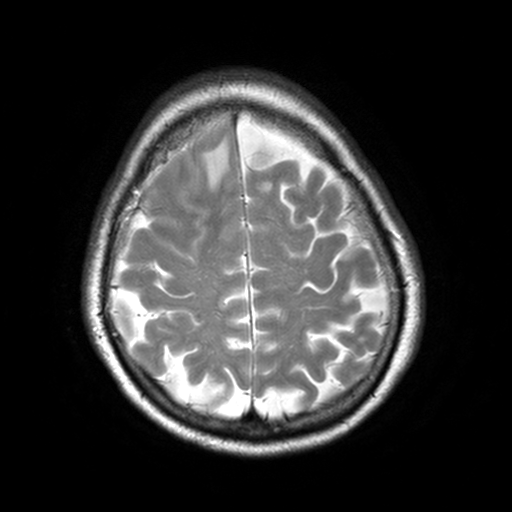
3 Tesla brain MRI. Series: T2-weighted turbo spin echo, 3 mm. Study: ring-enhancing brain masses.